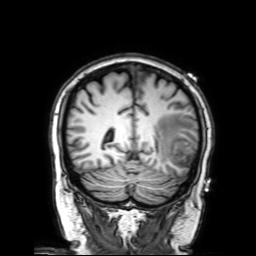
{
  "modality": {
    "type": "brain MRI",
    "field_strength": "3T"
  },
  "series": "3D T1-weighted with SENSE",
  "study_topic": "ring-enhancing brain masses"
}